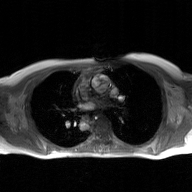
modality — 2D phase-contrast cine MRI of the ascending aorta, GAN super-resolution reconstruction